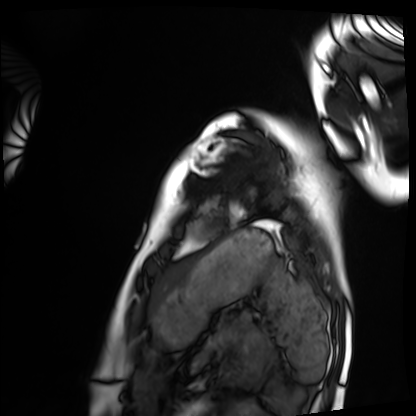
Cardiac MRI.
Subject group: healthy volunteer.